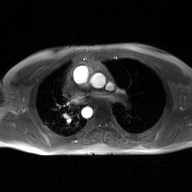
Summary: 2D phase-contrast cine MRI of the ascending aorta, GAN super-resolution reconstruction.